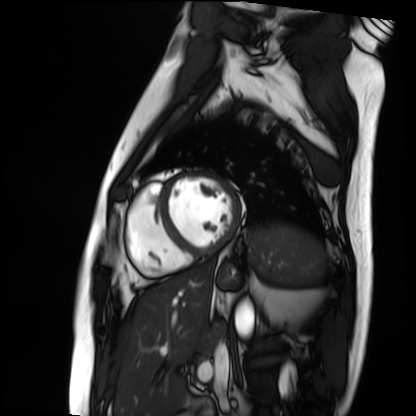
- modality · cardiac MRI
- subject group · patient